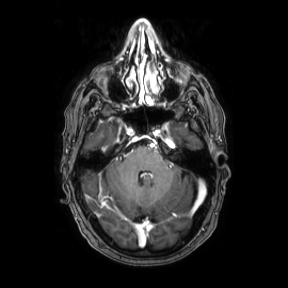
3 Tesla brain MRI.
Series: axial.
Study: ring-enhancing brain masses.